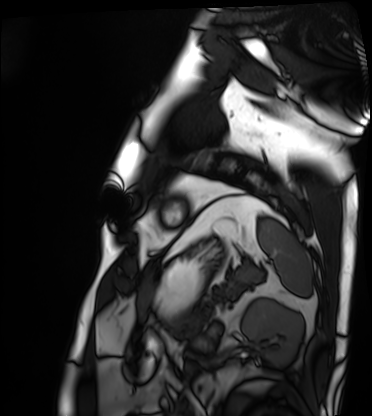
Clinical context:
Cardiac MRI. Subject group: patient.